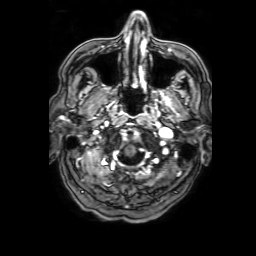
<study>
<modality>
  <type>brain MRI</type>
  <field_strength>3T</field_strength>
</modality>
<series>3D T1-weighted with SENSE</series>
<study_topic>ring-enhancing brain masses</study_topic>
</study>